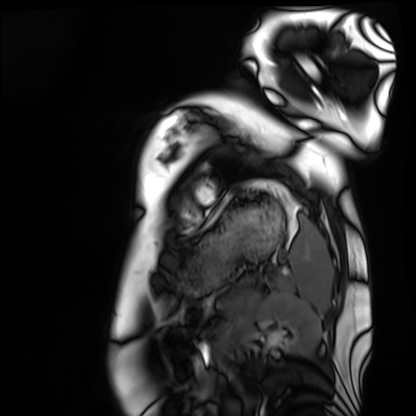
Cardiac MRI.
Subject group: healthy volunteer.